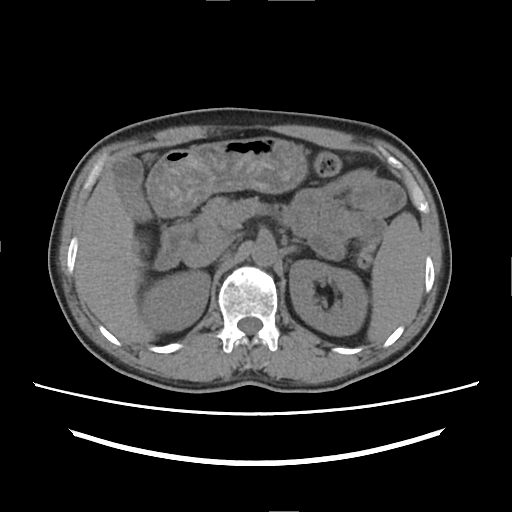
| field | value |
|---|---|
| modality | multiphase abdominal CT, liver, non-contrast phase |
| patient | male, age 50 |
| history | cirrhosis, viral hepatitis, prior chemotherapy |